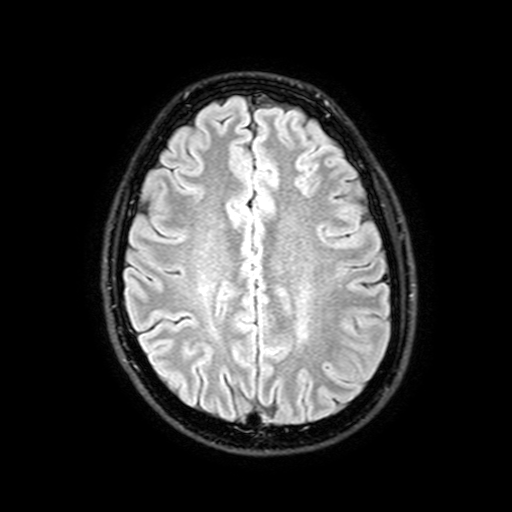
| field | value |
|---|---|
| modality | 3 Tesla brain MRI |
| series | FLAIR with SPAIR, 3 mm |
| study | ring-enhancing brain masses |